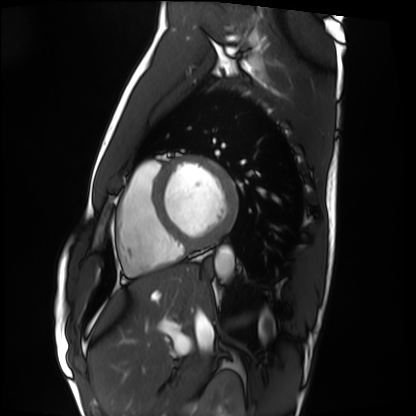
modality=cardiac MRI; subject group=healthy volunteer.